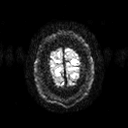
<study>
<modality>
  <type>brain MRI</type>
  <field_strength>3T</field_strength>
</modality>
<series>diffusion tensor imaging (medium iso)</series>
<study_topic>ring-enhancing brain masses</study_topic>
</study>